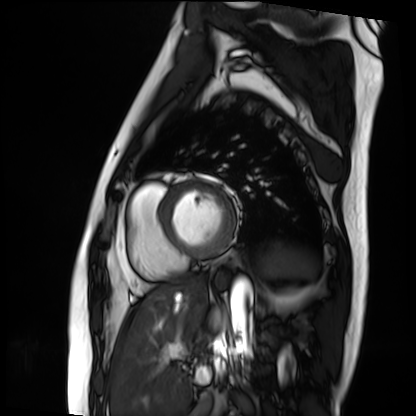
Cardiac MRI. Subject group: patient.